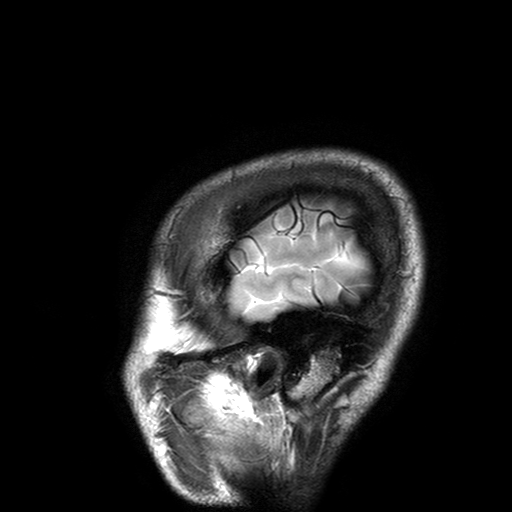
modality: 3 Tesla brain MRI
series: T2-weighted turbo spin echo with SENSE
study: ring-enhancing brain masses